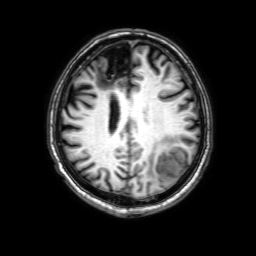
<record>
<modality>
  <type>brain MRI</type>
  <field_strength>3T</field_strength>
</modality>
<series>3D T1-weighted with SENSE</series>
<study_topic>ring-enhancing brain masses</study_topic>
</record>